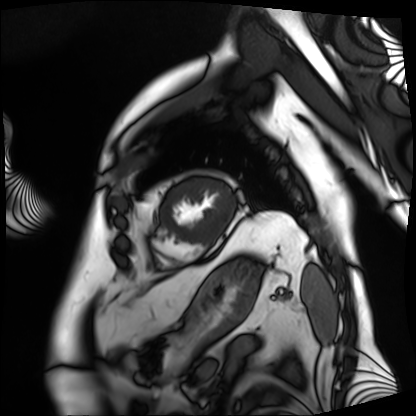
modality: cardiac MRI
subject group: patient